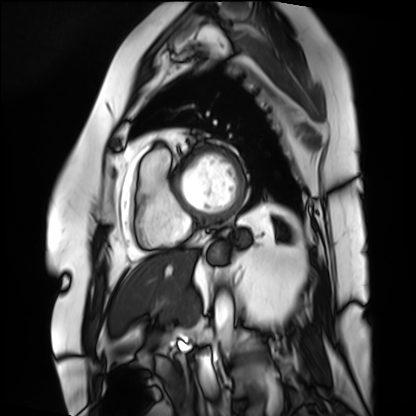
Cardiac MRI. Subject group: patient.